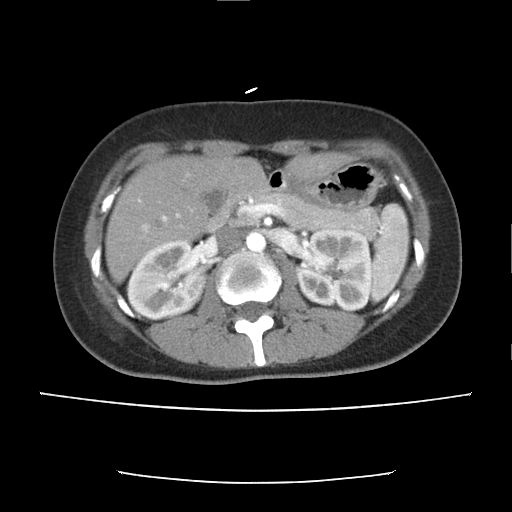
Q: What kind of scan is this?
A: Multiphase abdominal CT, liver, arterial phase.
Q: Patient?
A: Female, age 38.
Q: History?
A: Prior chemotherapy.